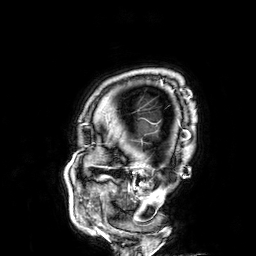
Case:
– modality: 3 Tesla brain MRI
– series: 3D T1-weighted
– study: ring-enhancing brain masses